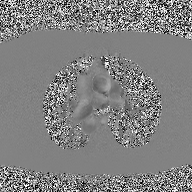
Clinical context: 2D phase-contrast cine MRI of the ascending aorta, high-resolution GRAPPA acquisition.